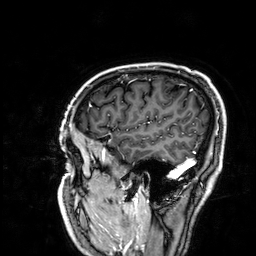
3 Tesla brain MRI.
Series: 3D T1-weighted.
Study: ring-enhancing brain masses.